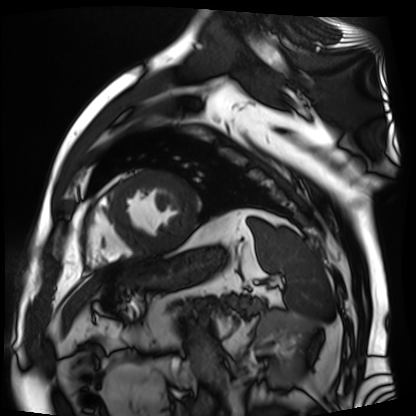
  modality: cardiac MR image of the myocardium
  cohort: cardiac patient